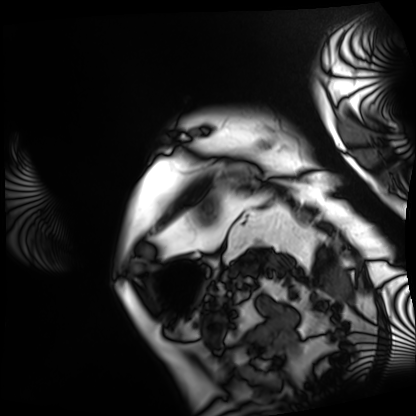
Cardiac MRI. Subject group: patient.